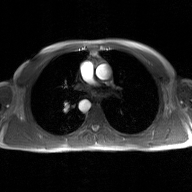
modality — 2D phase-contrast cine MRI of the ascending aorta, GAN super-resolution reconstruction